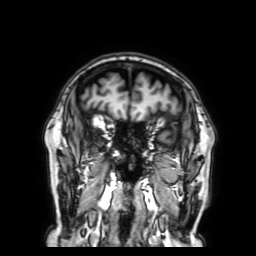
Case summary:
3 Tesla brain MRI. Series: 3D T1-weighted with SENSE. Study: ring-enhancing brain masses.